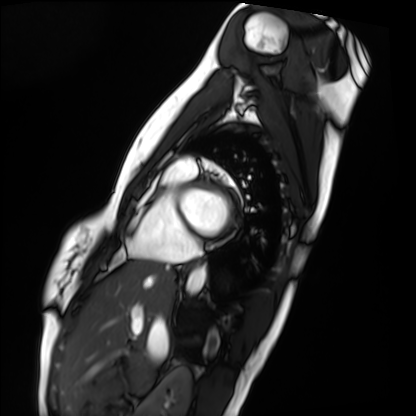
| field | value |
|---|---|
| modality | cardiac MRI |
| subject group | healthy volunteer |